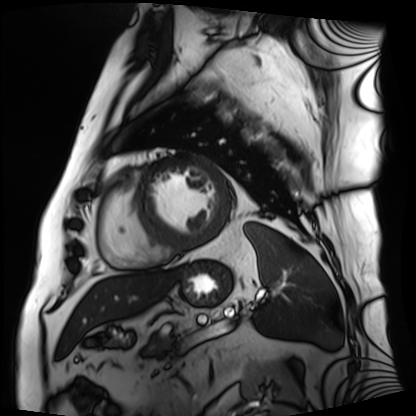
{
  "modality": "cardiac MRI",
  "cohort": "patient"
}